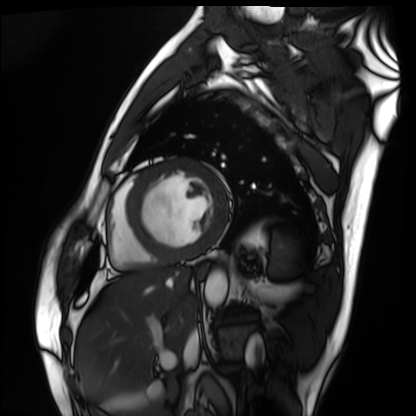
| field | value |
|---|---|
| modality | cardiac MRI |
| subject group | patient |